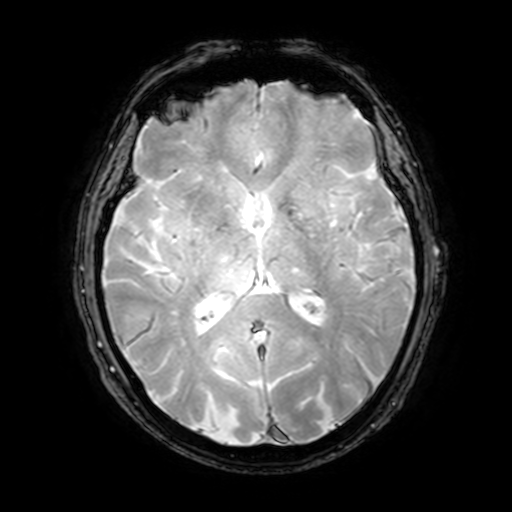
  modality:
    type: brain MRI
    field_strength: 3T
  series: T2-weighted fast field echo with SENSE
  study_topic: ring-enhancing brain masses